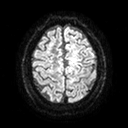
3 Tesla brain MRI. Series: diffusion tensor imaging (medium iso). Study: ring-enhancing brain masses.